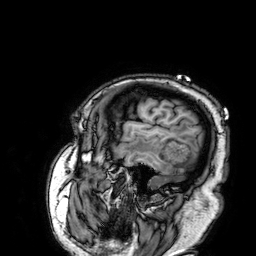
Q: What kind of scan is this?
A: 3 Tesla brain MRI.
Q: Series?
A: 3D T1-weighted.
Study: ring-enhancing brain masses.